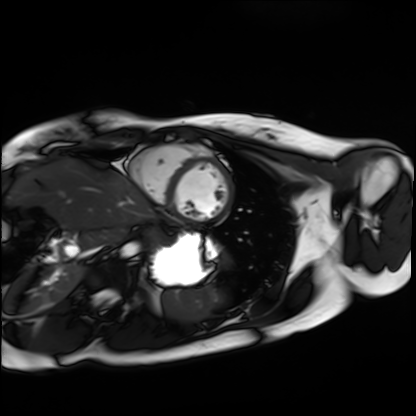
{
  "modality": "cardiac MRI",
  "cohort": "healthy volunteer"
}